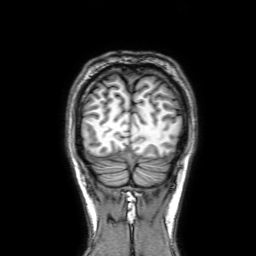
<record>
<modality>
  <type>brain MRI</type>
  <field_strength>3T</field_strength>
</modality>
<series>3D T1-weighted with SENSE</series>
<study_topic>ring-enhancing brain masses</study_topic>
</record>